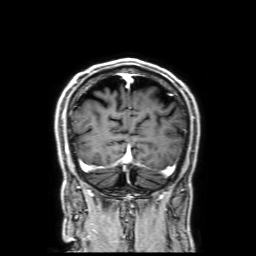
– modality · 3 Tesla brain MRI
– series · 3D T1-weighted with SENSE
– study · ring-enhancing brain masses